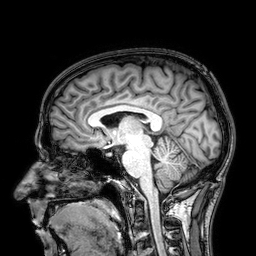
Case:
• modality · 3 Tesla brain MRI
• series · 3D T1-weighted
• study · ring-enhancing brain masses